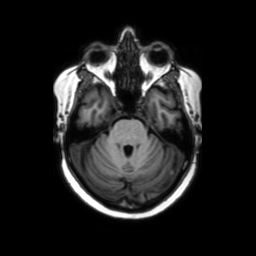
3 Tesla brain MRI.
Series: axial without contrast.
Study: ring-enhancing brain masses.